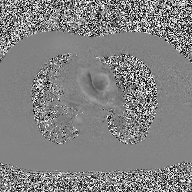
2D phase-contrast cine MRI of the ascending aorta, high-resolution GRAPPA acquisition.